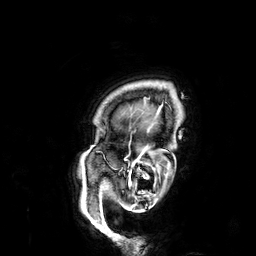
Case summary:
3 Tesla brain MRI. Series: 3D T1-weighted. Study: ring-enhancing brain masses.